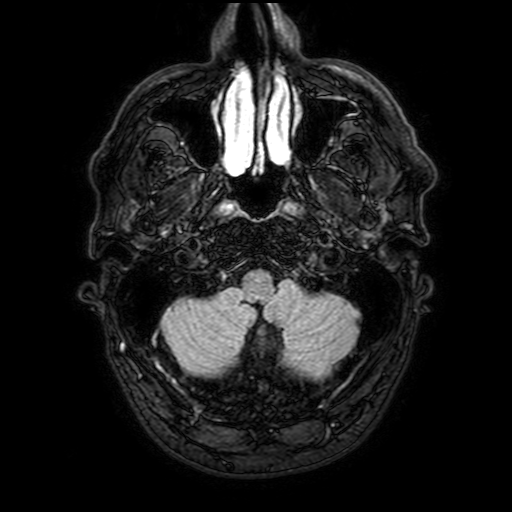
3 Tesla brain MRI.
Series: FLAIR with SPAIR, 3 mm.
Study: ring-enhancing brain masses.